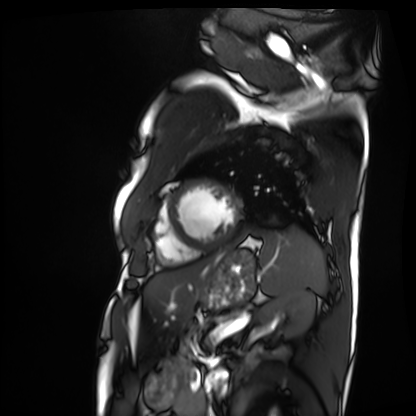
Case summary:
Cardiac MRI. Subject group: patient.